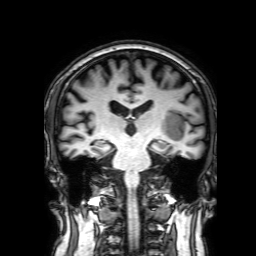
3 Tesla brain MRI. Series: 3D T1-weighted with SENSE. Study: ring-enhancing brain masses.